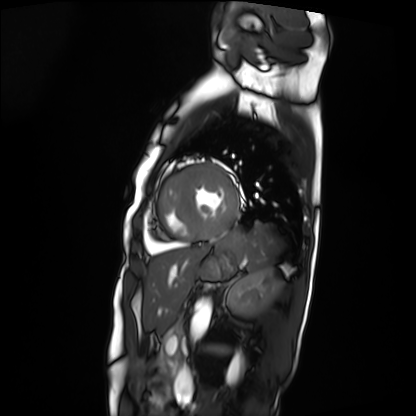
Cardiac MRI. Subject group: patient.